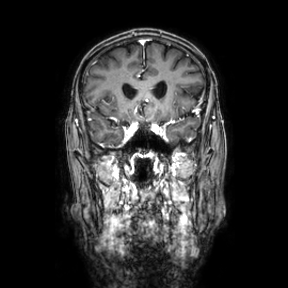
3 Tesla brain MRI. Series: coronal. Study: ring-enhancing brain masses.